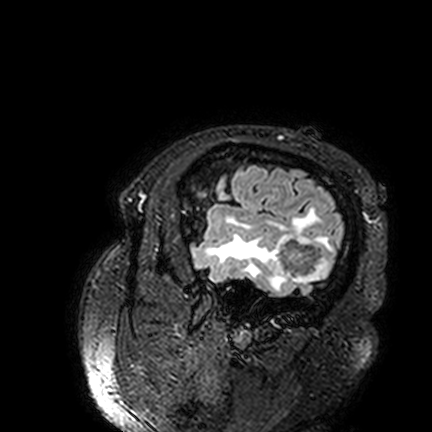
Clinical context:
3 Tesla brain MRI. Series: FLAIR VISTA. Study: ring-enhancing brain masses.